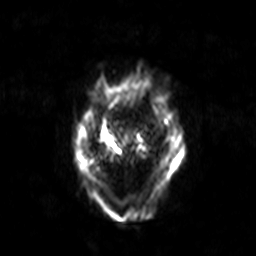
3 Tesla brain MRI. Series: diffusion-weighted imaging with SENSE (WIP). Study: ring-enhancing brain masses.